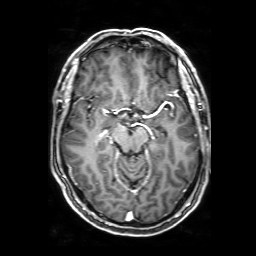
Summary:
3 Tesla brain MRI. Series: 3D T1-weighted with SENSE. Study: ring-enhancing brain masses.